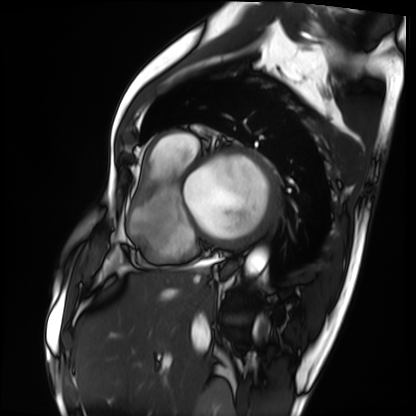
Case summary: Cardiac MRI. Subject group: patient.